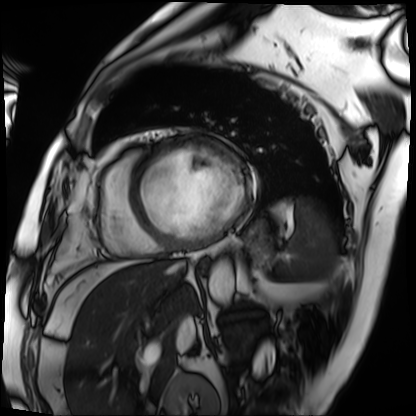
modality: cardiac MRI
subject group: patient